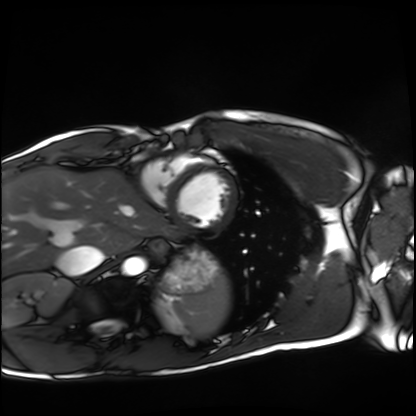
Cardiac MRI. Subject group: healthy volunteer.